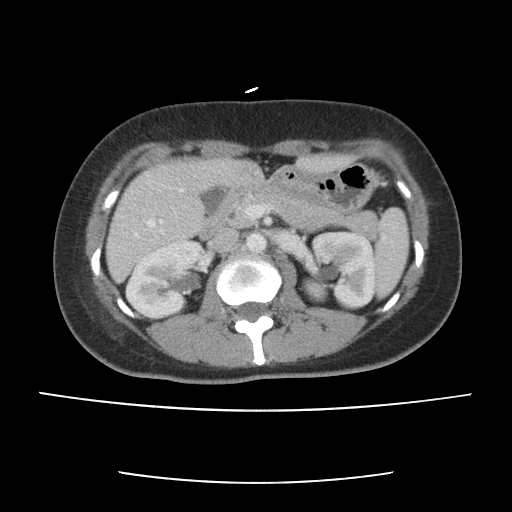
modality=multiphase abdominal CT, liver, portal venous phase | patient=female, age 38 | history=prior chemotherapy.